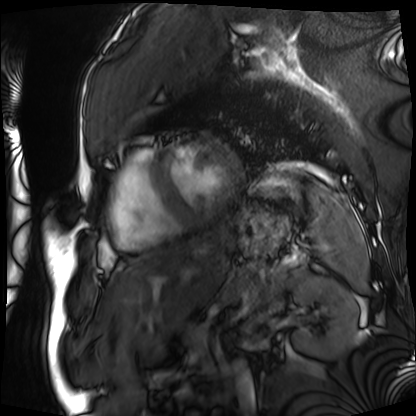
modality = cardiac MRI; subject group = patient.